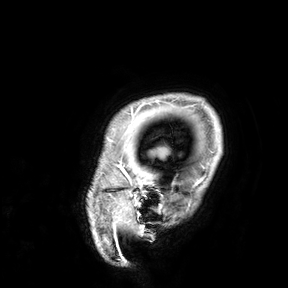
Case summary: 3 Tesla brain MRI. Study: ring-enhancing brain masses.